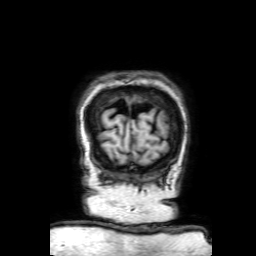
3 Tesla brain MRI.
Series: 3D T1-weighted with SENSE.
Study: ring-enhancing brain masses.